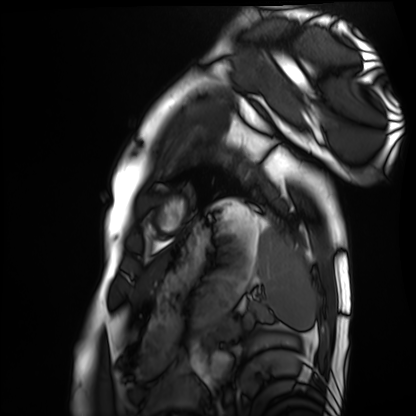
Cardiac MRI. Subject group: healthy volunteer.